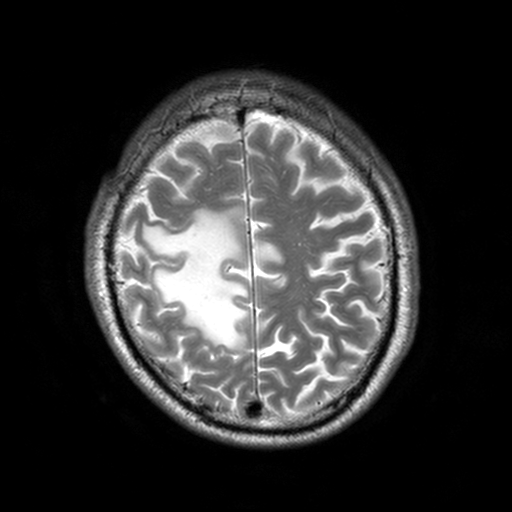
  modality:
    type: brain MRI
    field_strength: 3T
  series: T2-weighted turbo spin echo, 3 mm
  study_topic: ring-enhancing brain masses